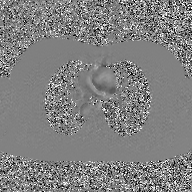
2D phase-contrast cine MRI of the ascending aorta, GAN super-resolution reconstruction.